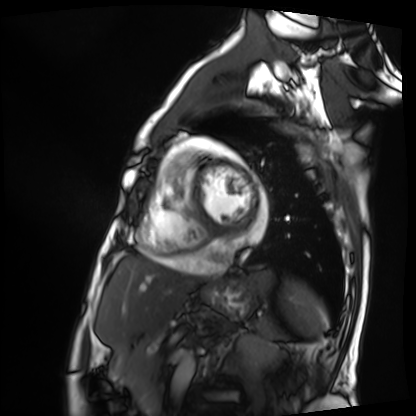
Cardiac MRI. Subject group: patient.